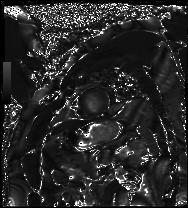
Summary: Cardiac MRI. Subject group: patient.